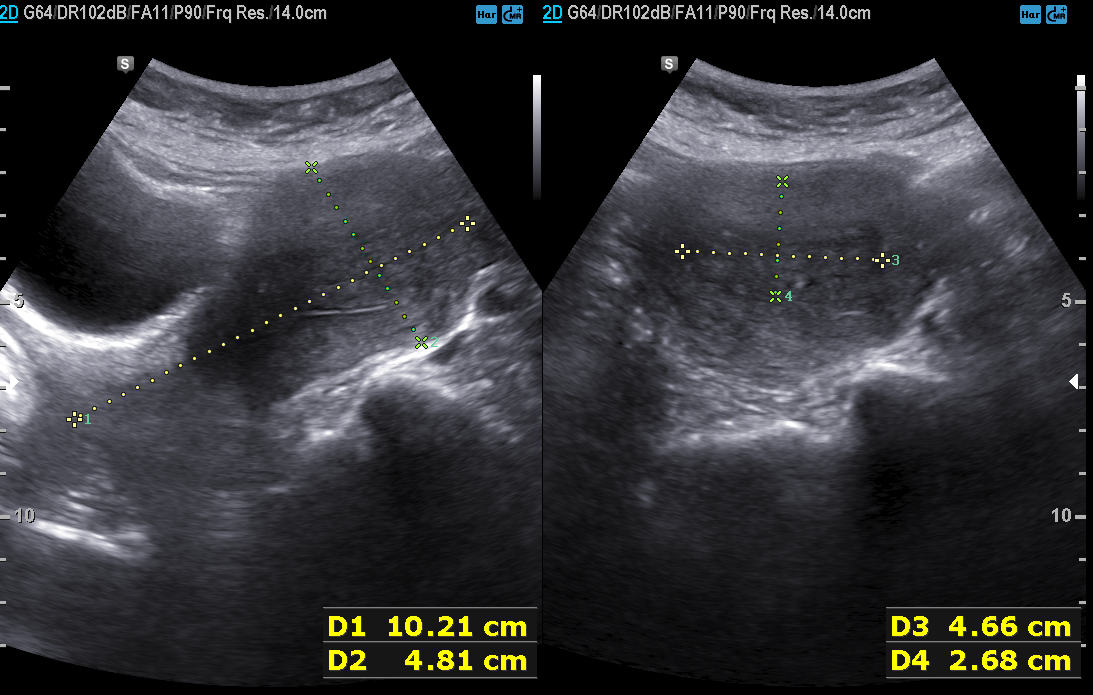
Q: What kind of scan is this?
A: Genitourinary ultrasound.